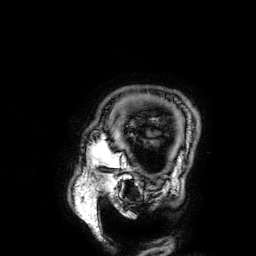
3 Tesla brain MRI.
Series: 3D T1-weighted.
Study: ring-enhancing brain masses.